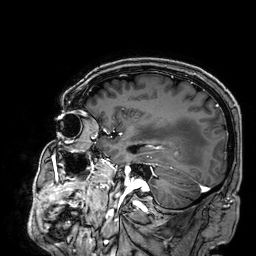
Q: What kind of scan is this?
A: 3 Tesla brain MRI.
Q: Series?
A: 3D T1-weighted.
Study: ring-enhancing brain masses.